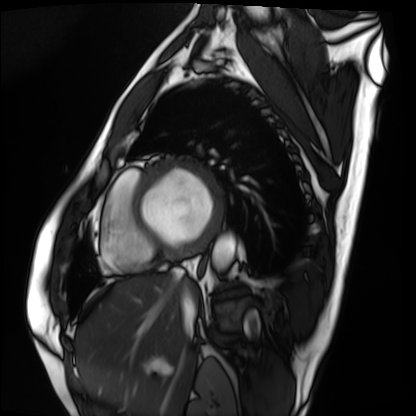
Case:
– modality: cardiac MRI
– subject group: patient